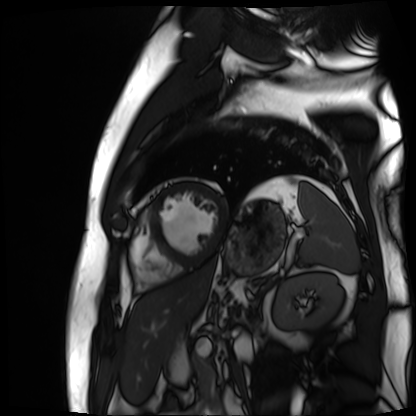
modality = cardiac MR image of the myocardium; subject cohort = cardiac patient.